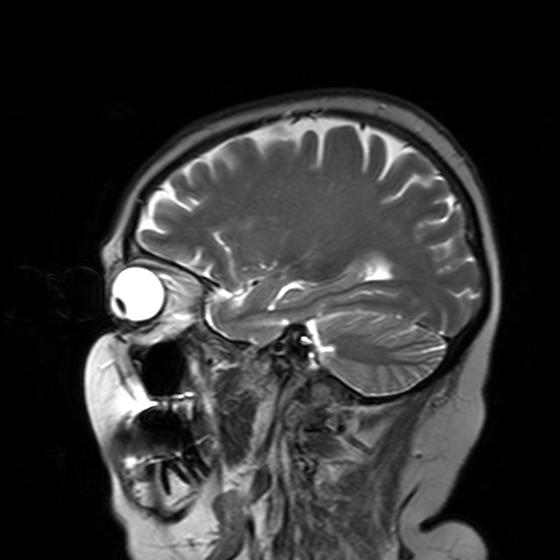
| field | value |
|---|---|
| modality | 3 Tesla brain MRI |
| series | T2-weighted turbo spin echo with SENSE |
| study | ring-enhancing brain masses |